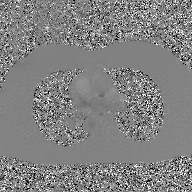
{
  "modality": {
    "type": "2D phase-contrast cine MRI",
    "region": "ascending aorta",
    "reconstruction": "GAN super-resolution reconstruction"
  }
}